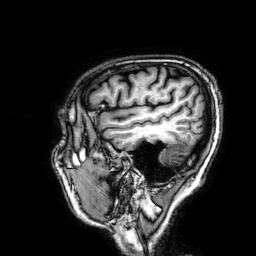
3 Tesla brain MRI.
Series: 3D T1-weighted.
Study: ring-enhancing brain masses.